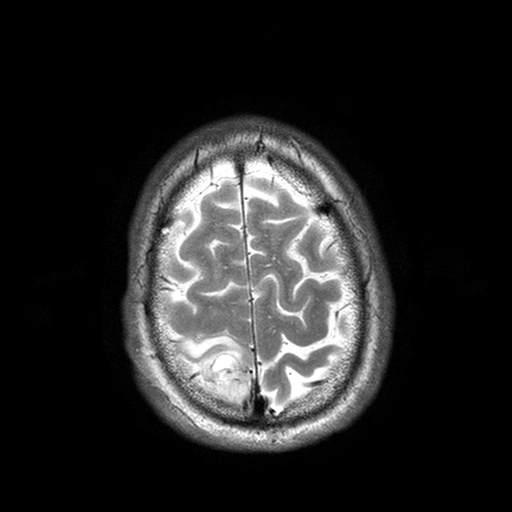
3 Tesla brain MRI. Series: T2-weighted turbo spin echo with SENSE. Study: ring-enhancing brain masses.